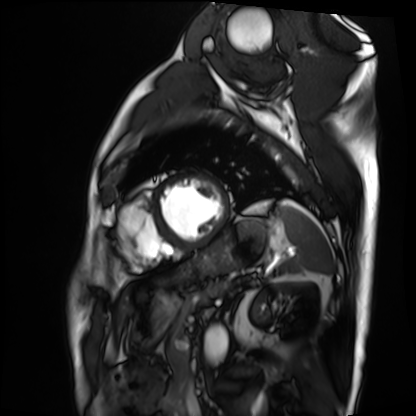
Summary:
Cardiac MRI. Subject group: patient.